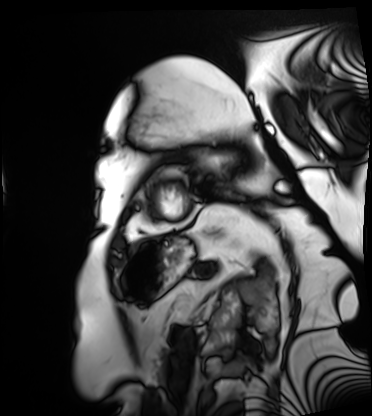
modality=cardiac MRI
subject group=patient